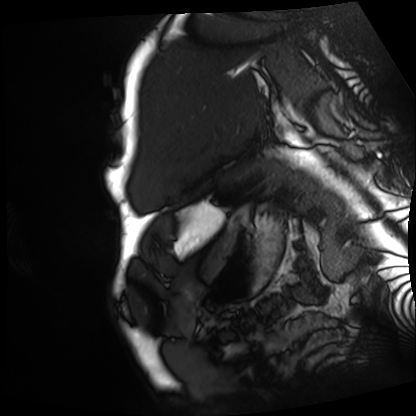
Cardiac MRI.
Subject group: patient.